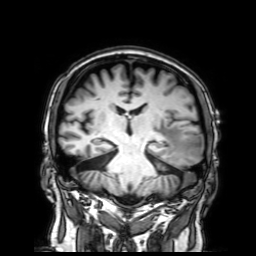
modality: 3 Tesla brain MRI; series: 3D T1-weighted with SENSE; study: ring-enhancing brain masses.